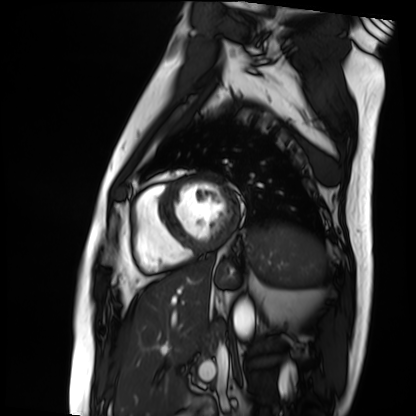
* modality · cardiac MRI
* subject group · patient